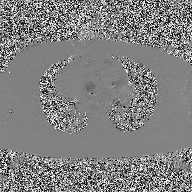
2D phase-contrast cine MRI of the ascending aorta, high-resolution GRAPPA acquisition.